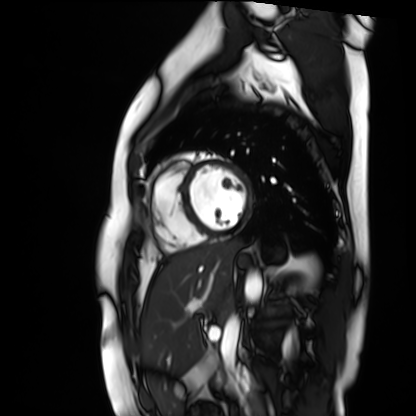
Clinical context:
Cardiac MR image of the myocardium. Subject cohort: healthy volunteer.